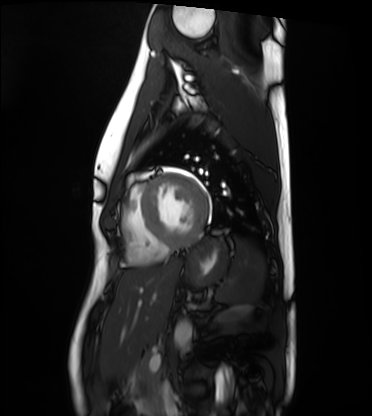
modality — cardiac MRI
subject group — healthy volunteer